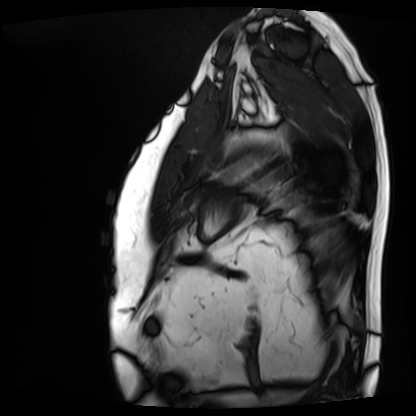
Cardiac MRI.
Subject group: patient.